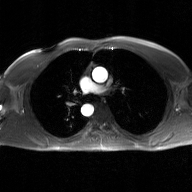
2D phase-contrast cine MRI of the ascending aorta, GAN super-resolution reconstruction.